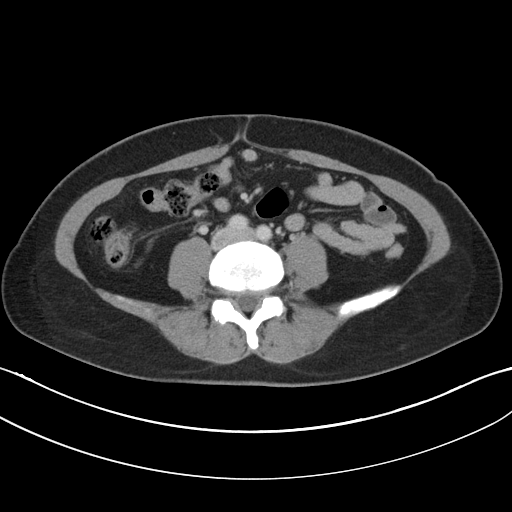
* modality — multiphase abdominal CT, liver, portal venous phase
* patient — female, age 30